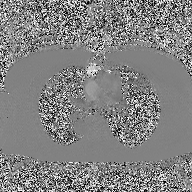
• modality: 2D phase-contrast cine MRI of the ascending aorta